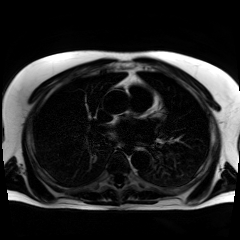
{"modality": "chemical-shift-encoded cardiac MRI"}